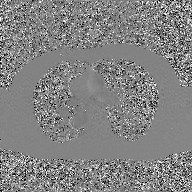
2D phase-contrast cine MRI of the ascending aorta, GAN super-resolution reconstruction.